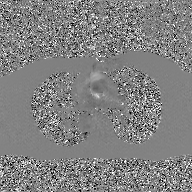
Case:
- modality: 2D phase-contrast cine MRI of the ascending aorta, GAN super-resolution reconstruction